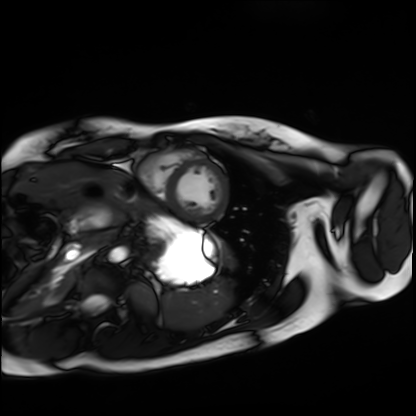
Q: What kind of scan is this?
A: Cardiac MRI.
Subject group: healthy volunteer.